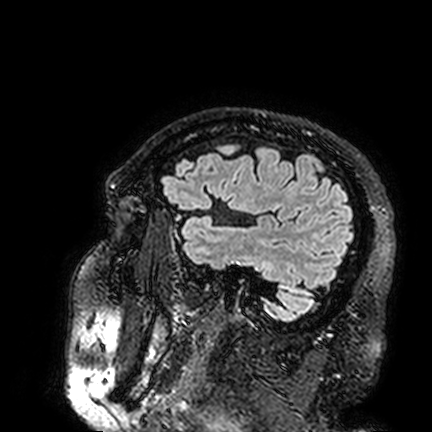
Case:
- modality — 3 Tesla brain MRI
- series — FLAIR VISTA
- study — ring-enhancing brain masses